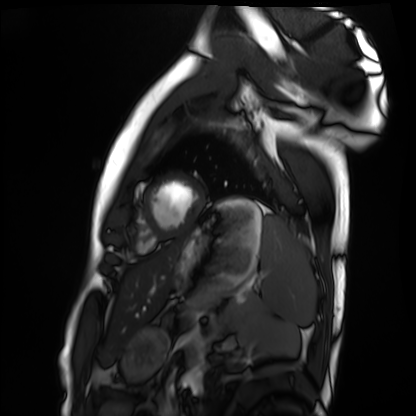
modality=cardiac MRI; subject group=healthy volunteer.